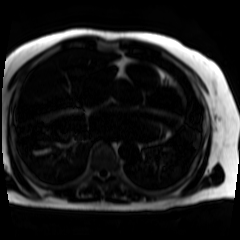
Chemical-shift-encoded cardiac MRI.